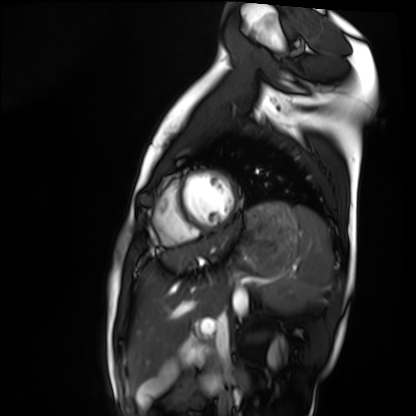
modality: cardiac MRI
subject group: healthy volunteer